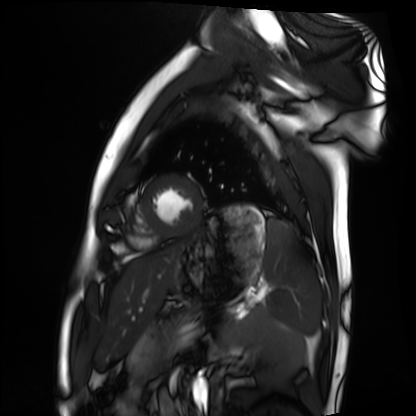
Cardiac MRI. Subject group: healthy volunteer.